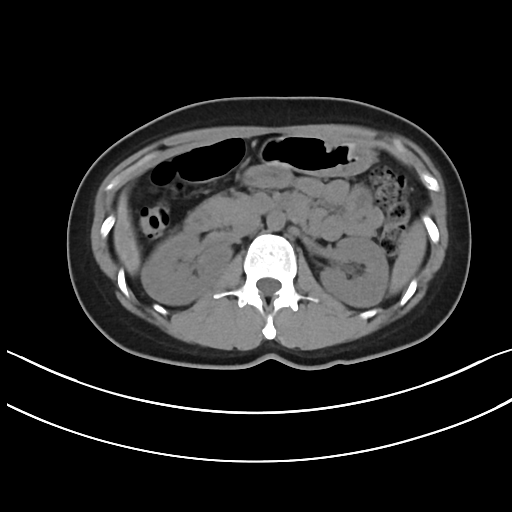
<study>
  <modality>
    <type>multiphase abdominal CT</type>
    <region>liver</region>
    <phase>non-contrast</phase>
  </modality>
  <patient>
    <sex>female</sex>
    <age>41</age>
  </patient>
</study>